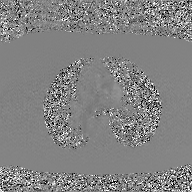
2D phase-contrast cine MRI of the ascending aorta, GAN super-resolution reconstruction.